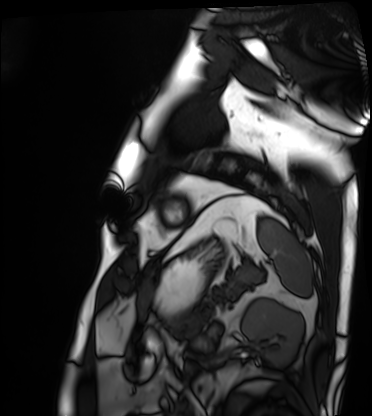
Q: What kind of scan is this?
A: Cardiac MRI.
Subject group: patient.